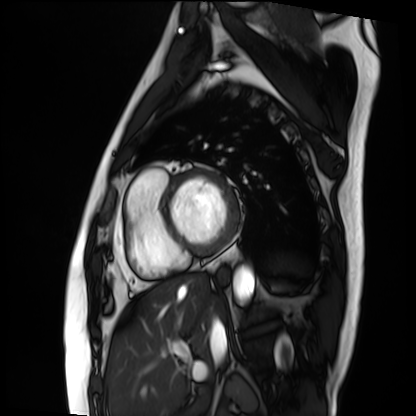
– modality: cardiac MRI
– subject group: patient